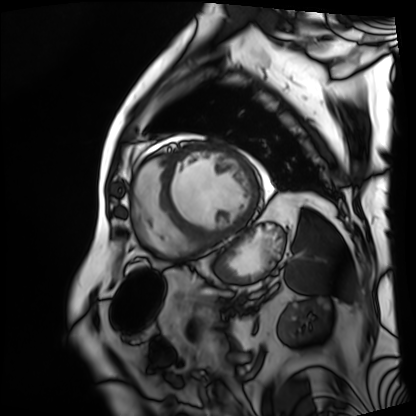
modality = cardiac MRI, subject group = patient.